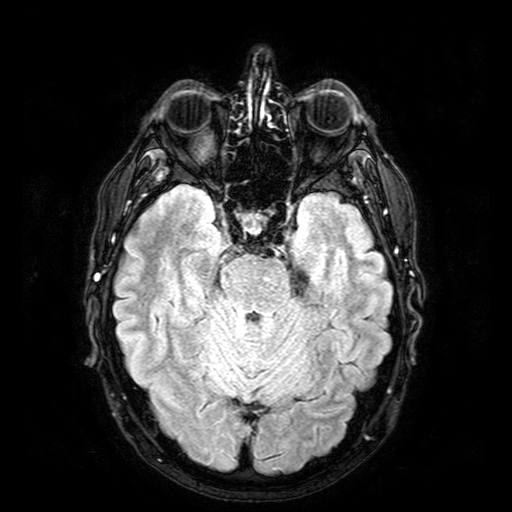
Q: What kind of scan is this?
A: 3 Tesla brain MRI.
Q: Series?
A: FLAIR with SPAIR.
Study: ring-enhancing brain masses.